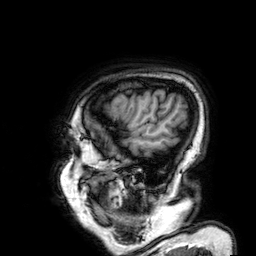
Q: What kind of scan is this?
A: 3 Tesla brain MRI.
Q: Series?
A: 3D T1-weighted.
Study: ring-enhancing brain masses.